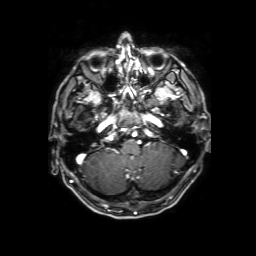
  modality:
    type: brain MRI
    field_strength: 3T
  series: 3D T1-weighted with SENSE
  study_topic: ring-enhancing brain masses